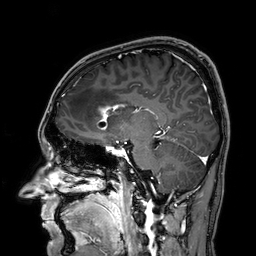
3 Tesla brain MRI. Series: 3D T1-weighted. Study: ring-enhancing brain masses.